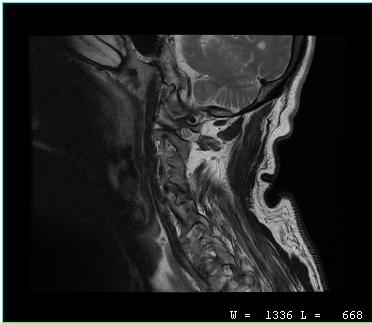
MRI of the cervical spine.
Study: cervical spondylosis.